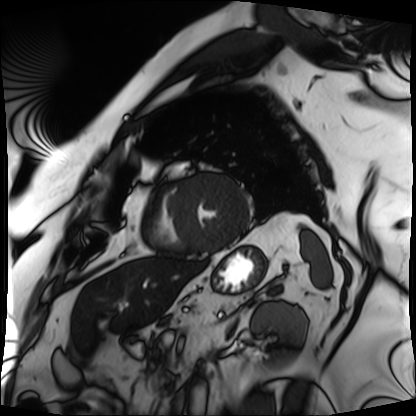
– modality: cardiac MRI
– subject group: patient